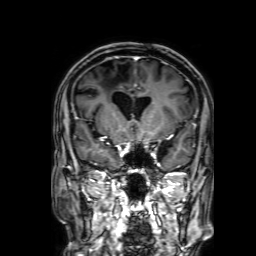
3 Tesla brain MRI. Series: 3D T1-weighted with SENSE. Study: ring-enhancing brain masses.